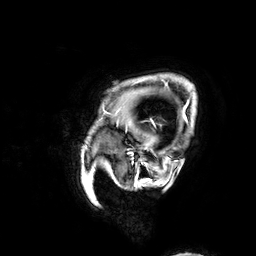
3 Tesla brain MRI. Series: 3D T1-weighted. Study: ring-enhancing brain masses.